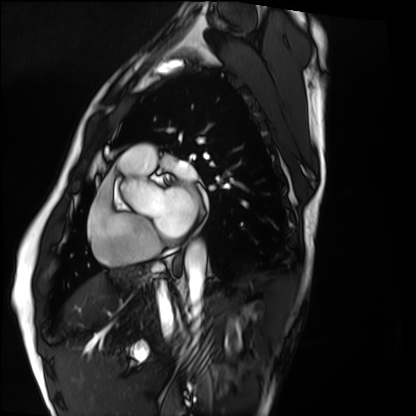
Cardiac MRI. Subject group: healthy volunteer.